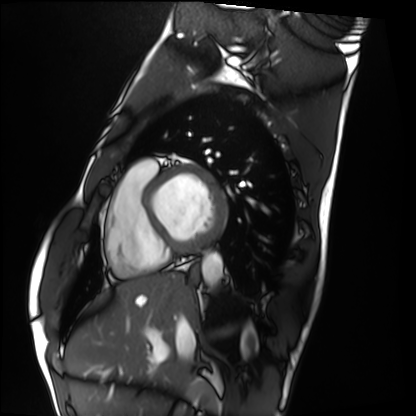
Q: What kind of scan is this?
A: Cardiac MRI.
Subject group: healthy volunteer.